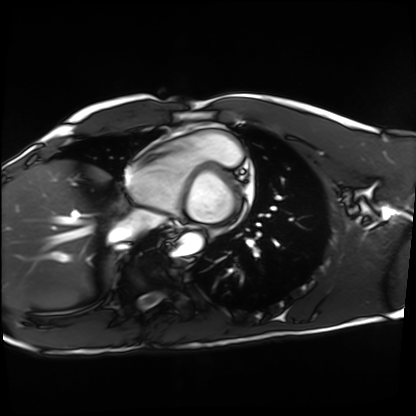
Summary:
Cardiac MRI. Subject group: healthy volunteer.